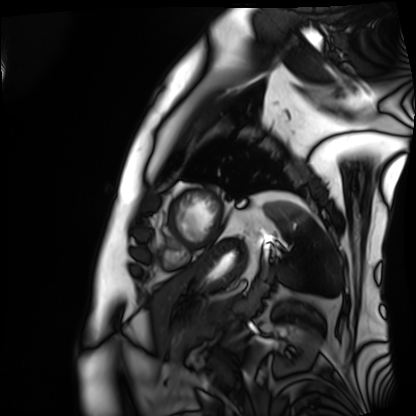
| field | value |
|---|---|
| modality | cardiac MRI |
| subject group | patient |